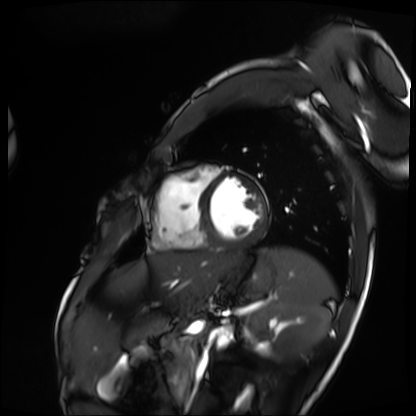
Cardiac MRI. Subject group: patient.